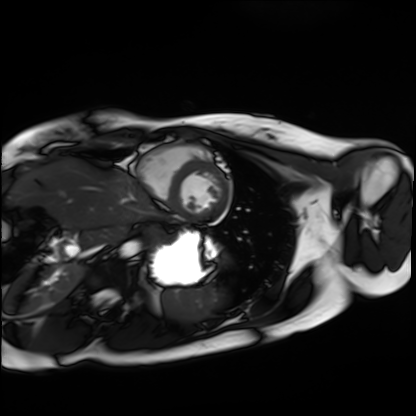
Q: What kind of scan is this?
A: Cardiac MRI.
Subject group: healthy volunteer.